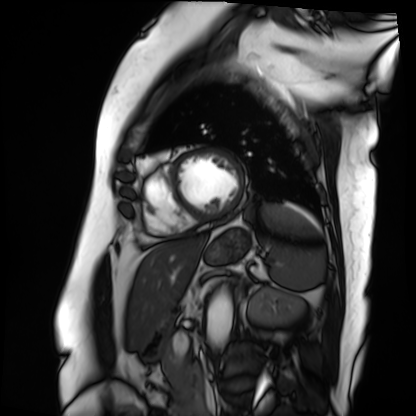
{"modality": "cardiac MRI", "cohort": "patient"}